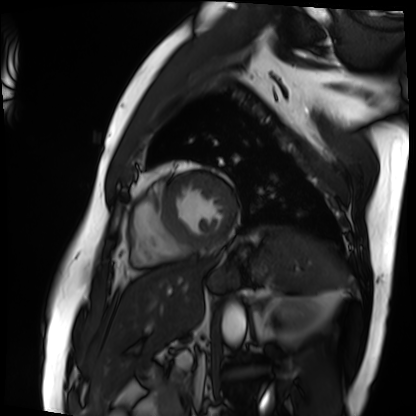
modality = cardiac MRI
subject group = patient